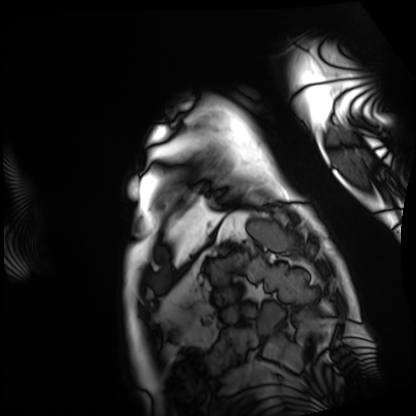
modality: cardiac MRI, subject group: patient.